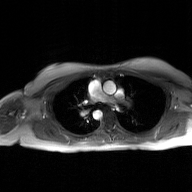
2D phase-contrast cine MRI of the ascending aorta, GAN super-resolution reconstruction.